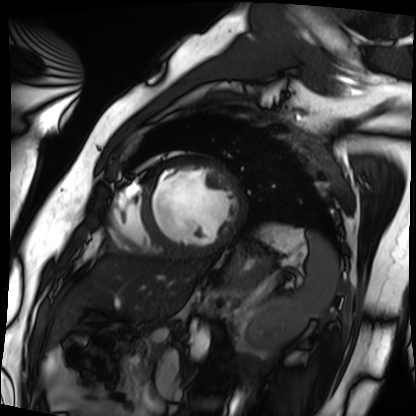
Cardiac MRI. Subject group: patient.